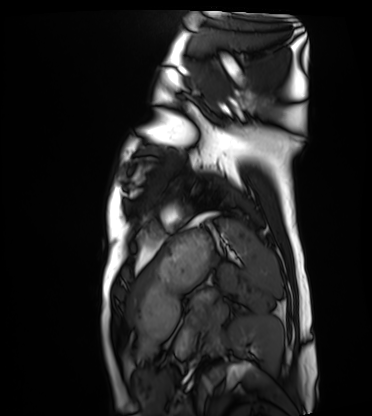
Cardiac MRI. Subject group: healthy volunteer.